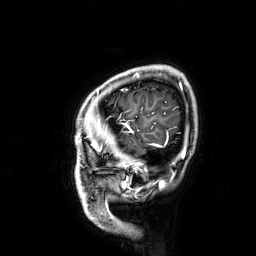
3 Tesla brain MRI. Series: 3D T1-weighted. Study: ring-enhancing brain masses.